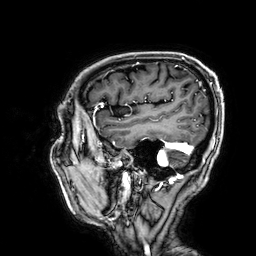
Summary: 3 Tesla brain MRI. Series: 3D T1-weighted. Study: ring-enhancing brain masses.